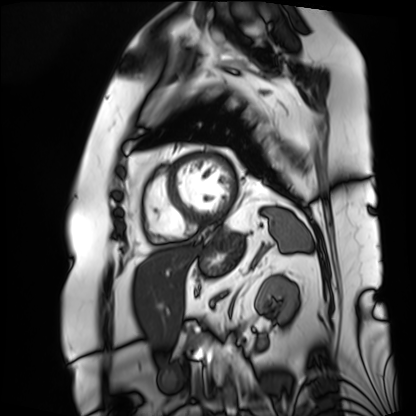
Q: What kind of scan is this?
A: Cardiac MRI.
Subject group: patient.